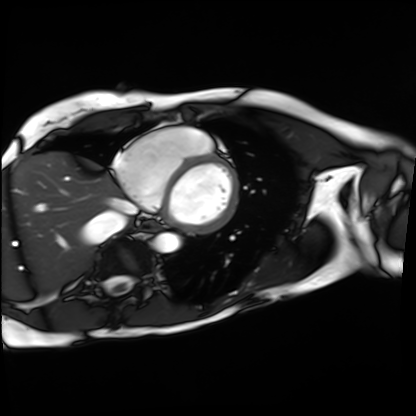
Cardiac MRI.
Subject group: patient.